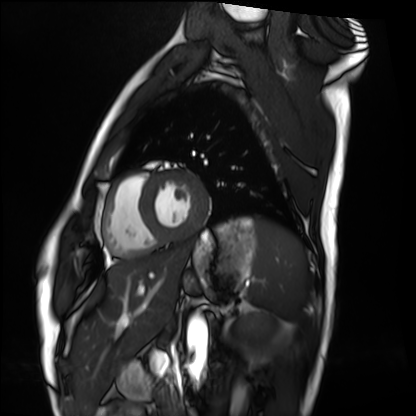
modality=cardiac MRI; subject group=healthy volunteer.